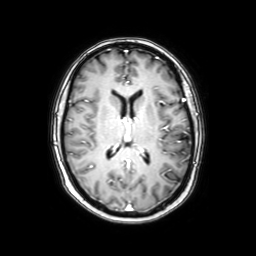
3 Tesla brain MRI. Series: axial with contrast. Study: ring-enhancing brain masses.